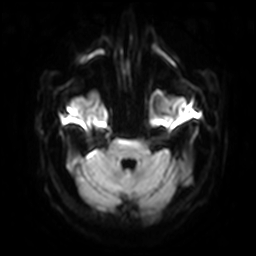
  modality:
    type: brain MRI
    field_strength: 3T
  series: diffusion-weighted imaging with SENSE (WIP)
  study_topic: ring-enhancing brain masses